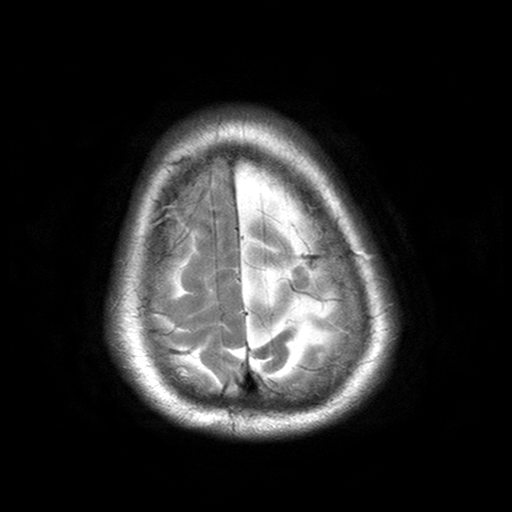
modality — 3 Tesla brain MRI
series — T2-weighted turbo spin echo with SENSE
study — ring-enhancing brain masses